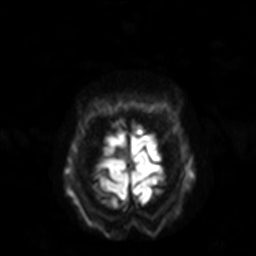
modality = 3 Tesla brain MRI
series = diffusion-weighted imaging with SENSE (WIP)
study = ring-enhancing brain masses